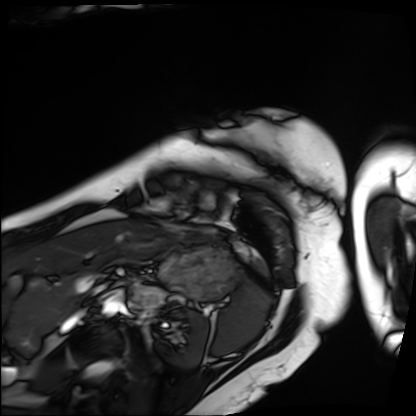
{
  "modality": "cardiac MRI",
  "cohort": "patient"
}